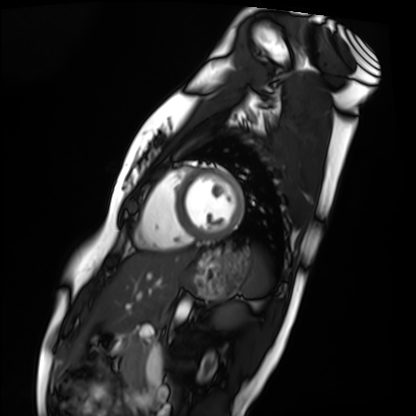
Cardiac MRI.
Subject group: healthy volunteer.